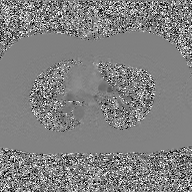
Case:
- modality: 2D phase-contrast cine MRI of the ascending aorta, GAN super-resolution reconstruction